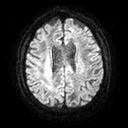
Clinical context: 3 Tesla brain MRI. Series: diffusion tensor imaging (medium iso). Study: ring-enhancing brain masses.